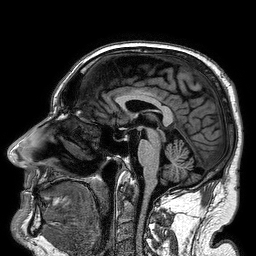
Summary:
3 Tesla brain MRI. Series: 3D T1-weighted turbo field echo. Study: ring-enhancing brain masses.